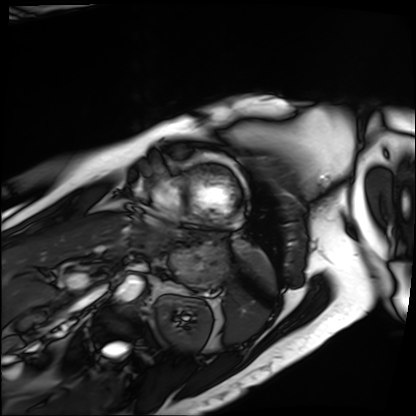
Cardiac MRI. Subject group: patient.